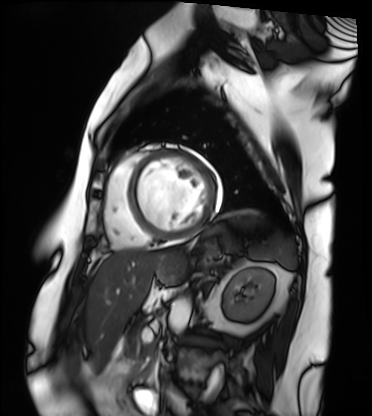
Summary: Cardiac MRI. Subject group: patient.